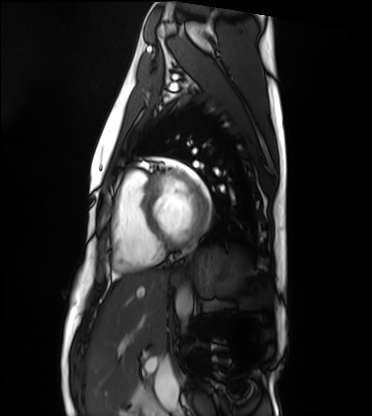
{"modality": "cardiac MRI", "cohort": "healthy volunteer"}